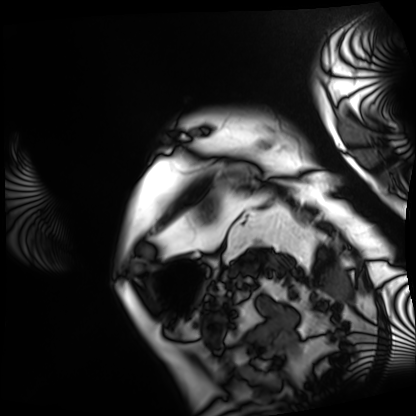
* modality: cardiac MRI
* subject group: patient